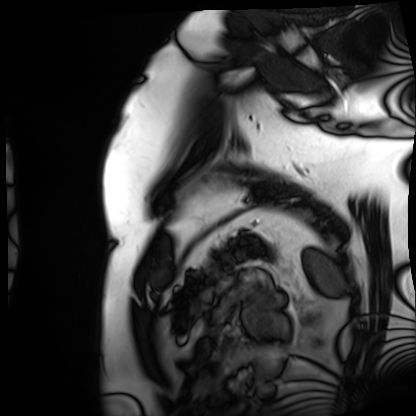
Summary: Cardiac MRI. Subject group: patient.